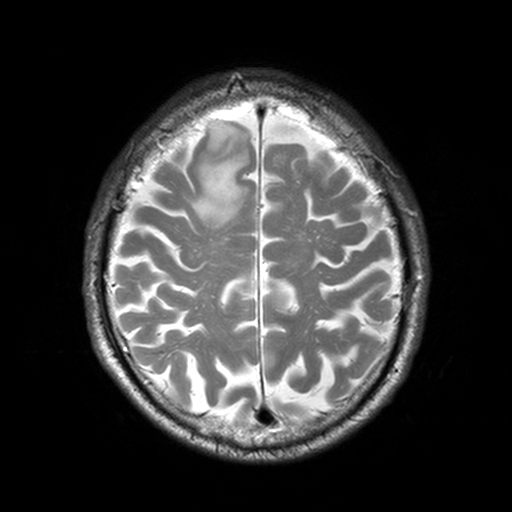
3 Tesla brain MRI.
Series: T2-weighted turbo spin echo, 3 mm.
Study: ring-enhancing brain masses.